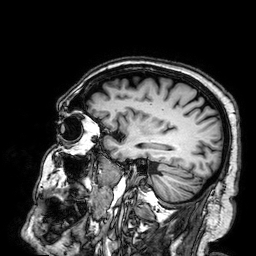
modality — 3 Tesla brain MRI
study — ring-enhancing brain masses